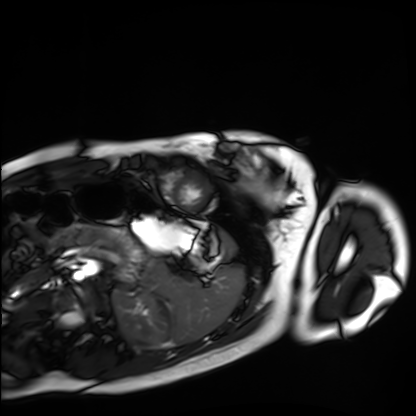
Cardiac MRI. Subject group: healthy volunteer.